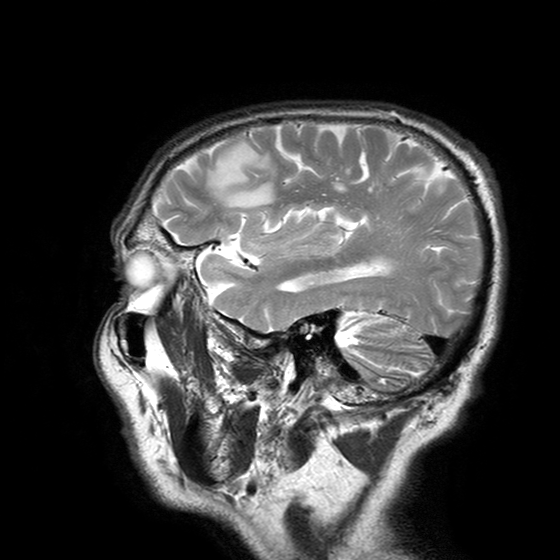
Summary: 3 Tesla brain MRI. Series: T2-weighted turbo spin echo with SENSE. Study: ring-enhancing brain masses.